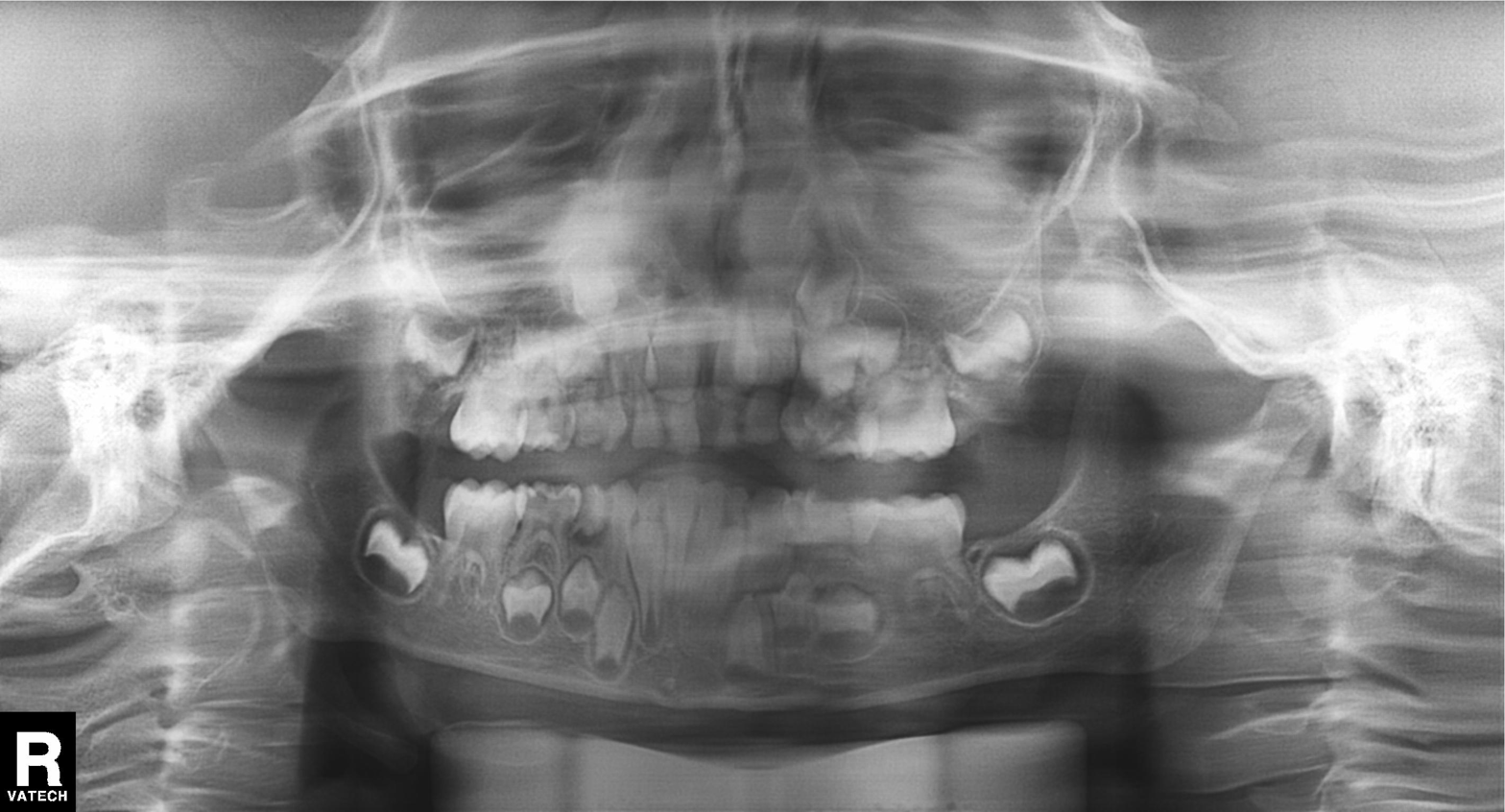
Panoramic dental radiograph (orthopantomogram).
Finding: alveolar bone loss.